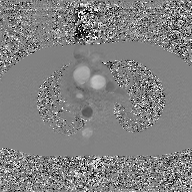
Q: What kind of scan is this?
A: 2D phase-contrast cine MRI of the ascending aorta, GAN super-resolution reconstruction.